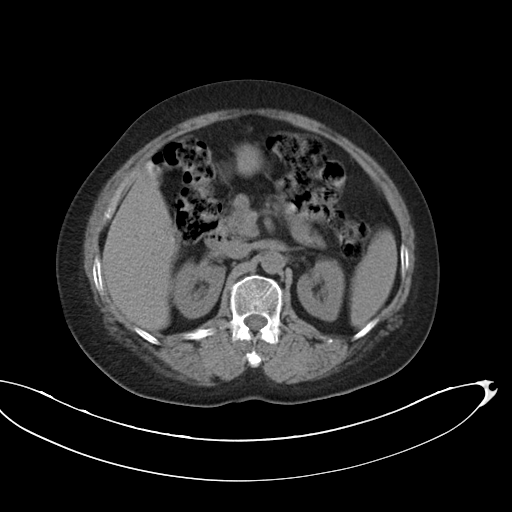
modality=multiphase abdominal CT, liver, non-contrast phase
patient=female, age 63